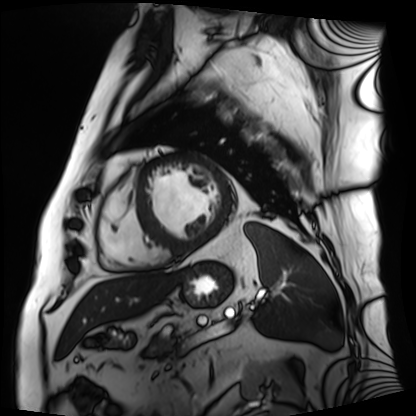
Case:
– modality — cardiac MRI
– subject group — patient